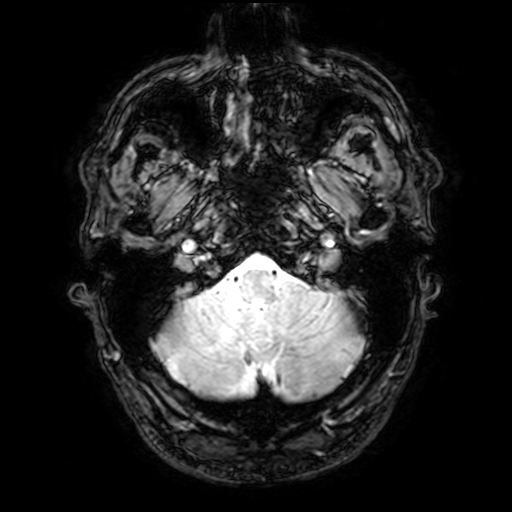
<case>
  <modality>
    <type>brain MRI</type>
    <field_strength>3T</field_strength>
  </modality>
  <series>T2-weighted fast field echo with SENSE</series>
  <study_topic>ring-enhancing brain masses</study_topic>
</case>